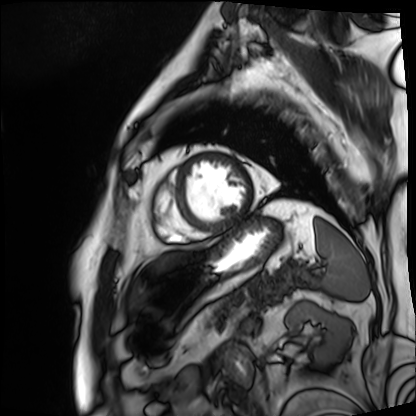
Cardiac MRI. Subject group: patient.